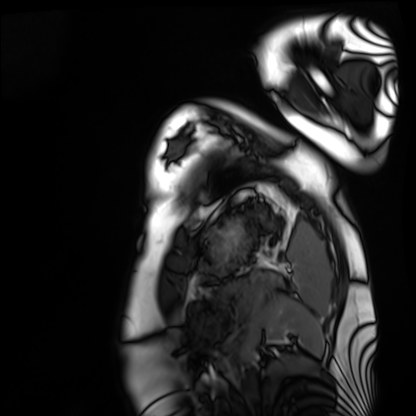
<record>
<modality>cardiac MRI</modality>
<cohort>healthy volunteer</cohort>
</record>